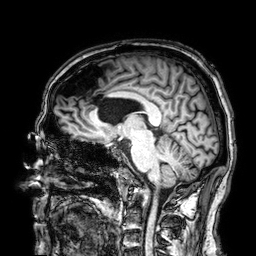
– modality — 3 Tesla brain MRI
– series — 3D T1-weighted
– study — ring-enhancing brain masses